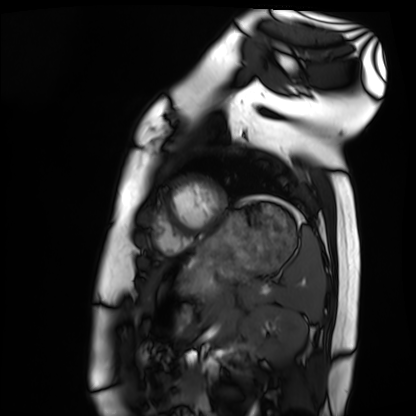
Summary:
Cardiac MRI. Subject group: healthy volunteer.